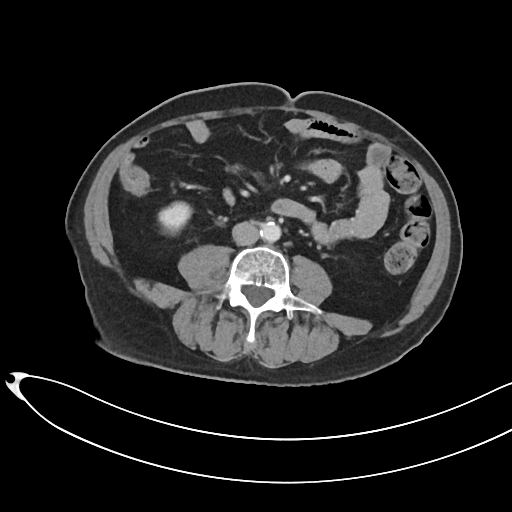
Multiphase abdominal CT, liver, portal venous phase.
Patient: male, age 66.